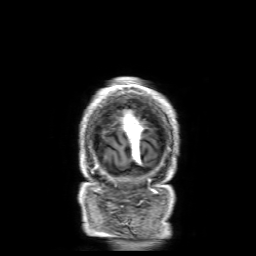
modality: 3 Tesla brain MRI | series: 3D T1-weighted with SENSE | study: ring-enhancing brain masses.